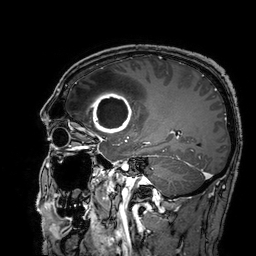
{
  "modality": {
    "type": "brain MRI",
    "field_strength": "3T"
  },
  "series": "3D T1-weighted turbo field echo with SENSE",
  "study_topic": "ring-enhancing brain masses"
}